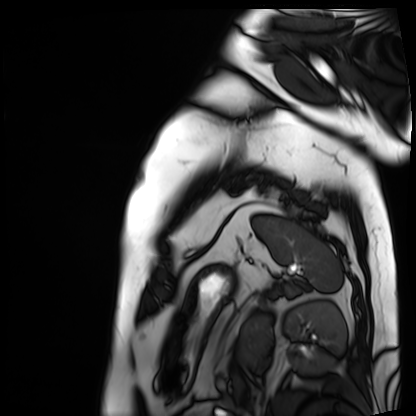
modality = cardiac MRI, subject group = patient.